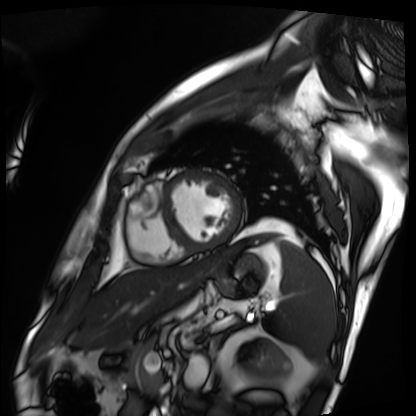
{
  "modality": "cardiac MRI",
  "cohort": "patient"
}